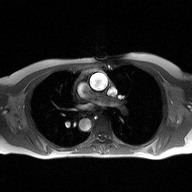
{
  "modality": {
    "type": "2D phase-contrast cine MRI",
    "region": "ascending aorta",
    "reconstruction": "high-resolution GRAPPA acquisition"
  }
}